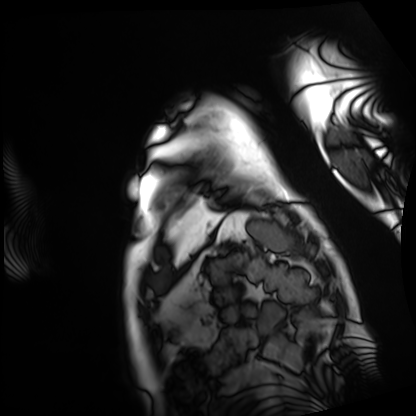
modality = cardiac MRI
subject group = patient